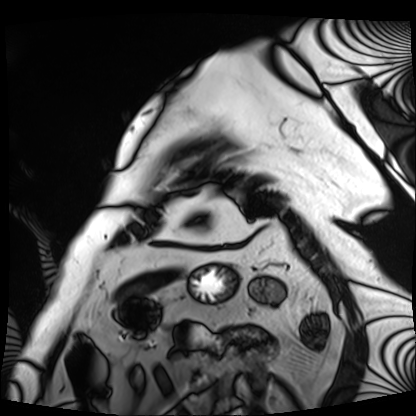
Cardiac MRI. Subject group: patient.